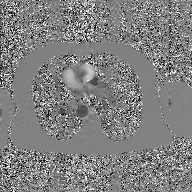
Summary: 2D phase-contrast cine MRI of the ascending aorta, GAN super-resolution reconstruction.